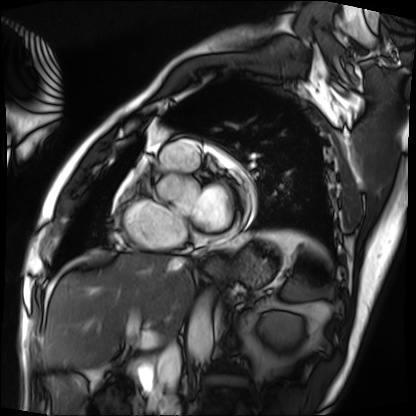
Q: What kind of scan is this?
A: Cardiac MRI.
Subject group: patient.